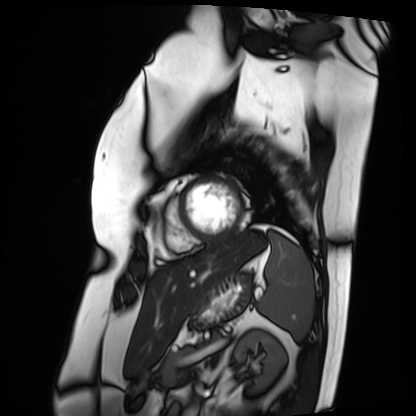
Case summary: Cardiac MRI. Subject group: patient.